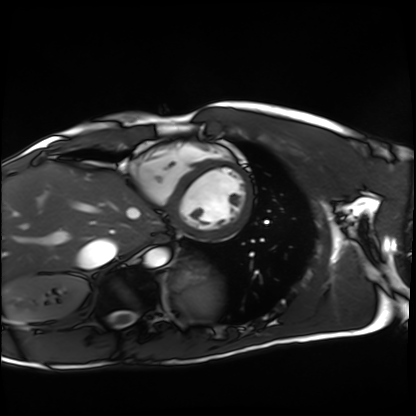
<case>
<modality>cardiac MRI</modality>
<cohort>healthy volunteer</cohort>
</case>